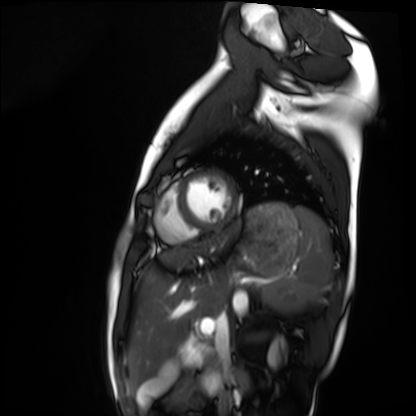
– modality — cardiac MRI
– subject group — healthy volunteer